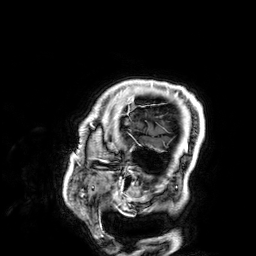
Summary: 3 Tesla brain MRI. Series: 3D T1-weighted. Study: ring-enhancing brain masses.